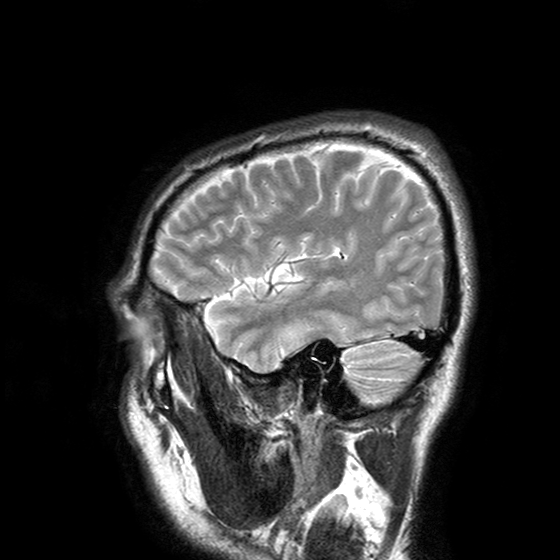
Case summary:
3 Tesla brain MRI. Series: T2-weighted turbo spin echo with SENSE. Study: ring-enhancing brain masses.